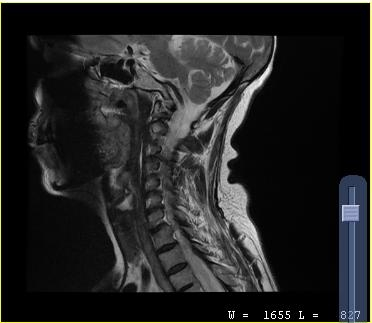
modality: MRI of the cervical spine | study: cervical spondylosis.